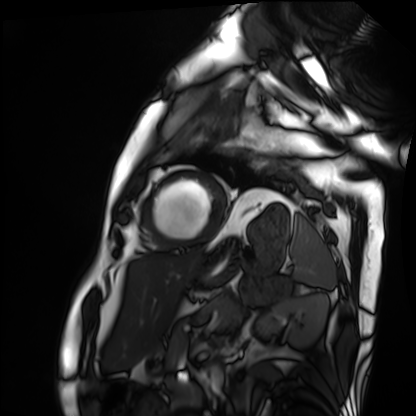
Cardiac MRI.
Subject group: patient.